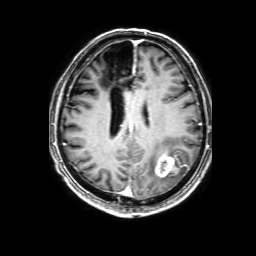
modality: 3 Tesla brain MRI
study: ring-enhancing brain masses